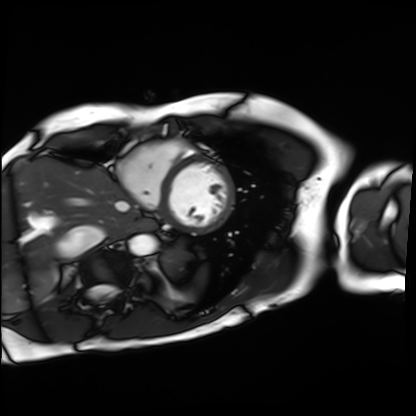
modality: cardiac MRI | subject group: patient.